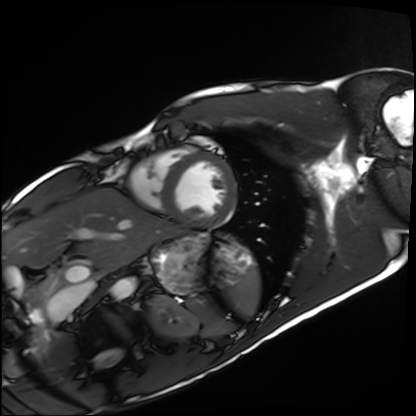
– modality — cardiac MRI
– subject group — healthy volunteer